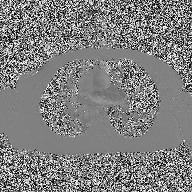
Q: What kind of scan is this?
A: 2D phase-contrast cine MRI of the ascending aorta.